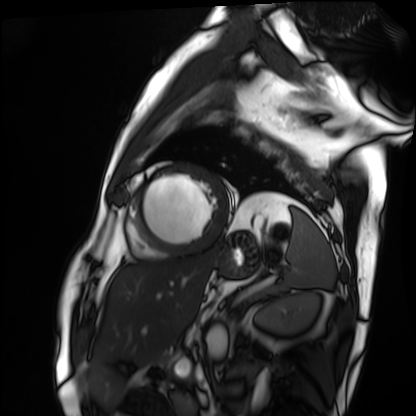
  modality: cardiac MRI
  cohort: patient